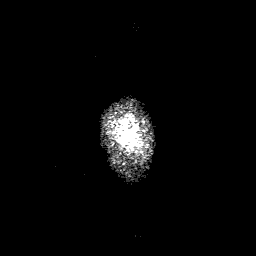
| field | value |
|---|---|
| modality | 3 Tesla brain MRI |
| series | 3D T1-weighted with SENSE |
| study | ring-enhancing brain masses |